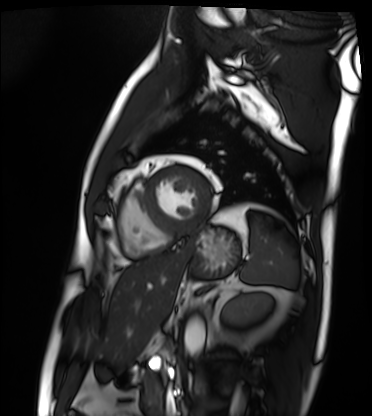
<case>
<modality>cardiac MRI</modality>
<cohort>patient</cohort>
</case>